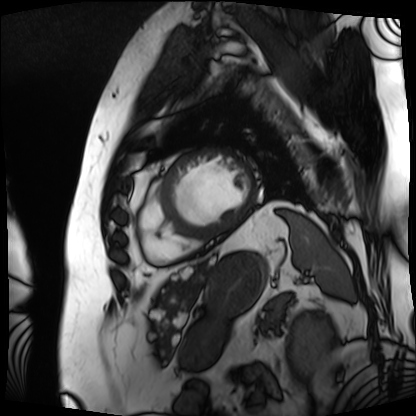
Q: What kind of scan is this?
A: Cardiac MRI.
Subject group: patient.